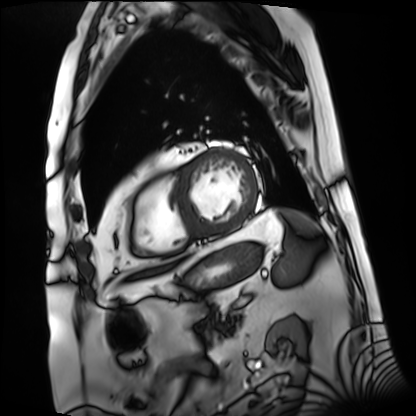
Summary: Cardiac MRI. Subject group: patient.